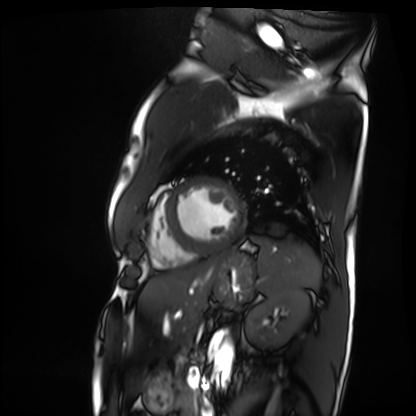
Q: What kind of scan is this?
A: Cardiac MRI.
Subject group: patient.